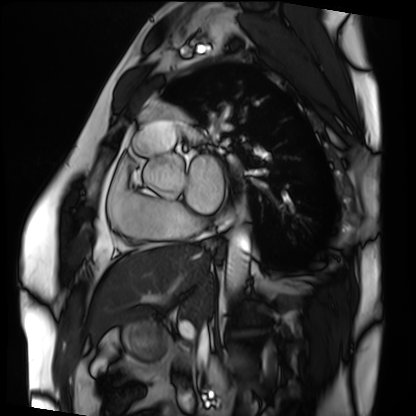
Cardiac MRI. Subject group: patient.